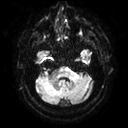
<record>
<modality>
  <type>brain MRI</type>
  <field_strength>3T</field_strength>
</modality>
<series>diffusion tensor imaging (medium iso)</series>
<study_topic>ring-enhancing brain masses</study_topic>
</record>